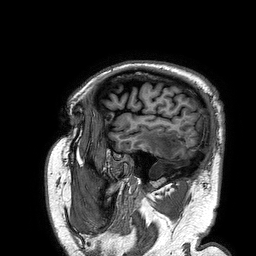
Clinical context:
3 Tesla brain MRI. Series: 3D T1-weighted turbo field echo. Study: ring-enhancing brain masses.